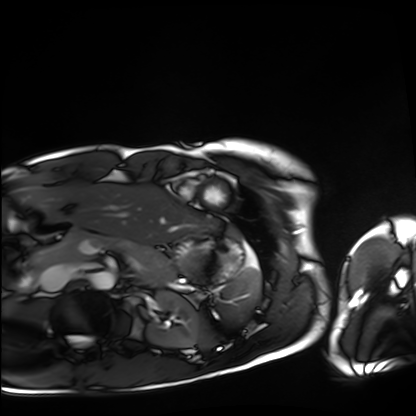
Summary: Cardiac MRI. Subject group: healthy volunteer.